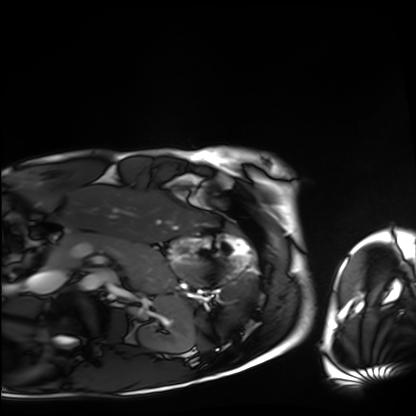
– modality — cardiac MRI
– subject group — healthy volunteer